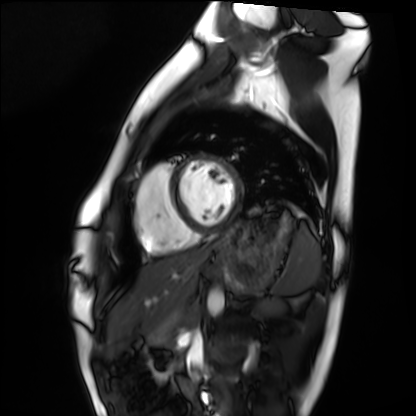
Cardiac MRI.
Subject group: healthy volunteer.